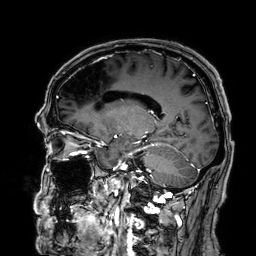
Case:
* modality · 3 Tesla brain MRI
* series · 3D T1-weighted
* study · ring-enhancing brain masses